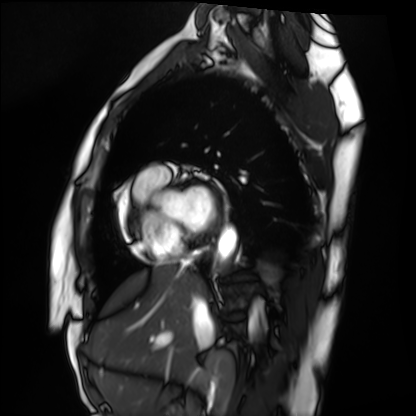
modality — cardiac MRI; subject group — healthy volunteer.